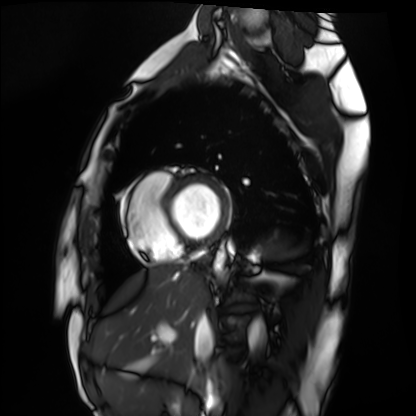
Cardiac MRI.
Subject group: healthy volunteer.